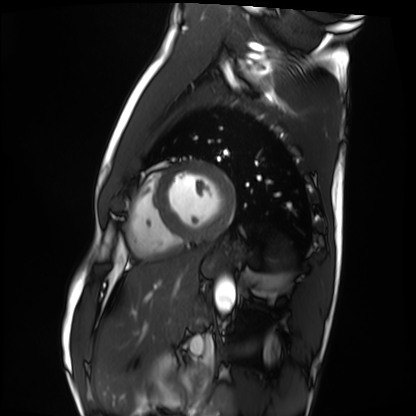
Summary:
Cardiac MRI. Subject group: healthy volunteer.